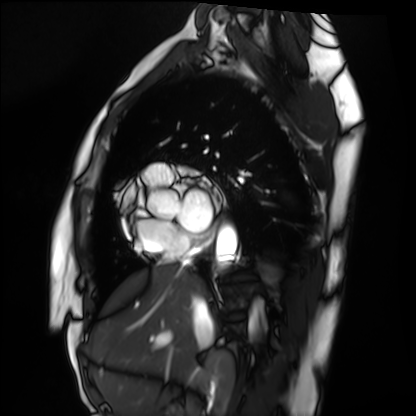
Case:
– modality — cardiac MRI
– subject group — healthy volunteer